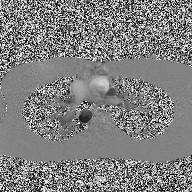
2D phase-contrast cine MRI of the ascending aorta, high-resolution GRAPPA acquisition.